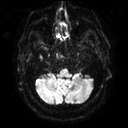
Case summary: 3 Tesla brain MRI. Series: diffusion tensor imaging (medium iso). Study: ring-enhancing brain masses.